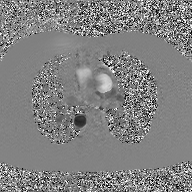
Q: What kind of scan is this?
A: 2D phase-contrast cine MRI of the ascending aorta, GAN super-resolution reconstruction.